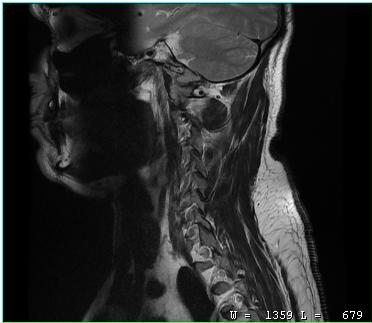
<case>
  <modality>
    <type>cervical spine MRI</type>
  </modality>
  <study_topic>cervical spondylosis</study_topic>
</case>